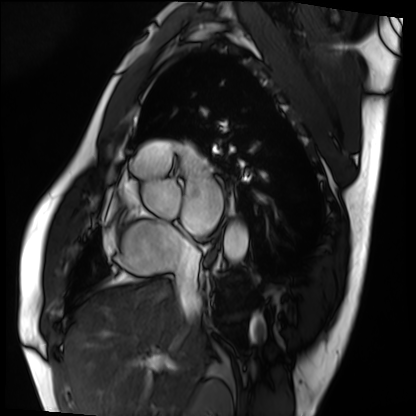
{
  "modality": "cardiac MRI",
  "cohort": "patient"
}